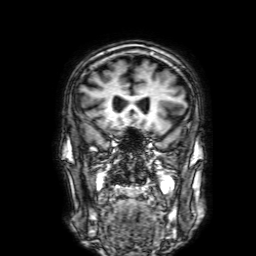
3 Tesla brain MRI. Series: 3D T1-weighted with SENSE. Study: ring-enhancing brain masses.